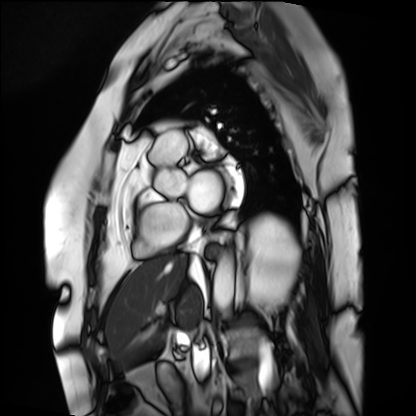
{"modality": "cardiac MRI", "cohort": "patient"}